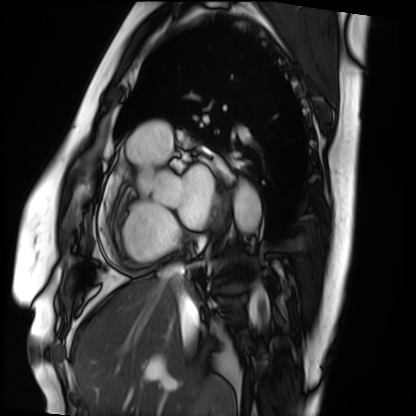
- modality: cardiac MRI
- subject group: patient